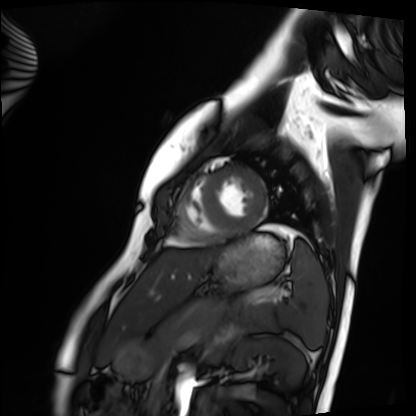
Summary: Cardiac MRI. Subject group: healthy volunteer.